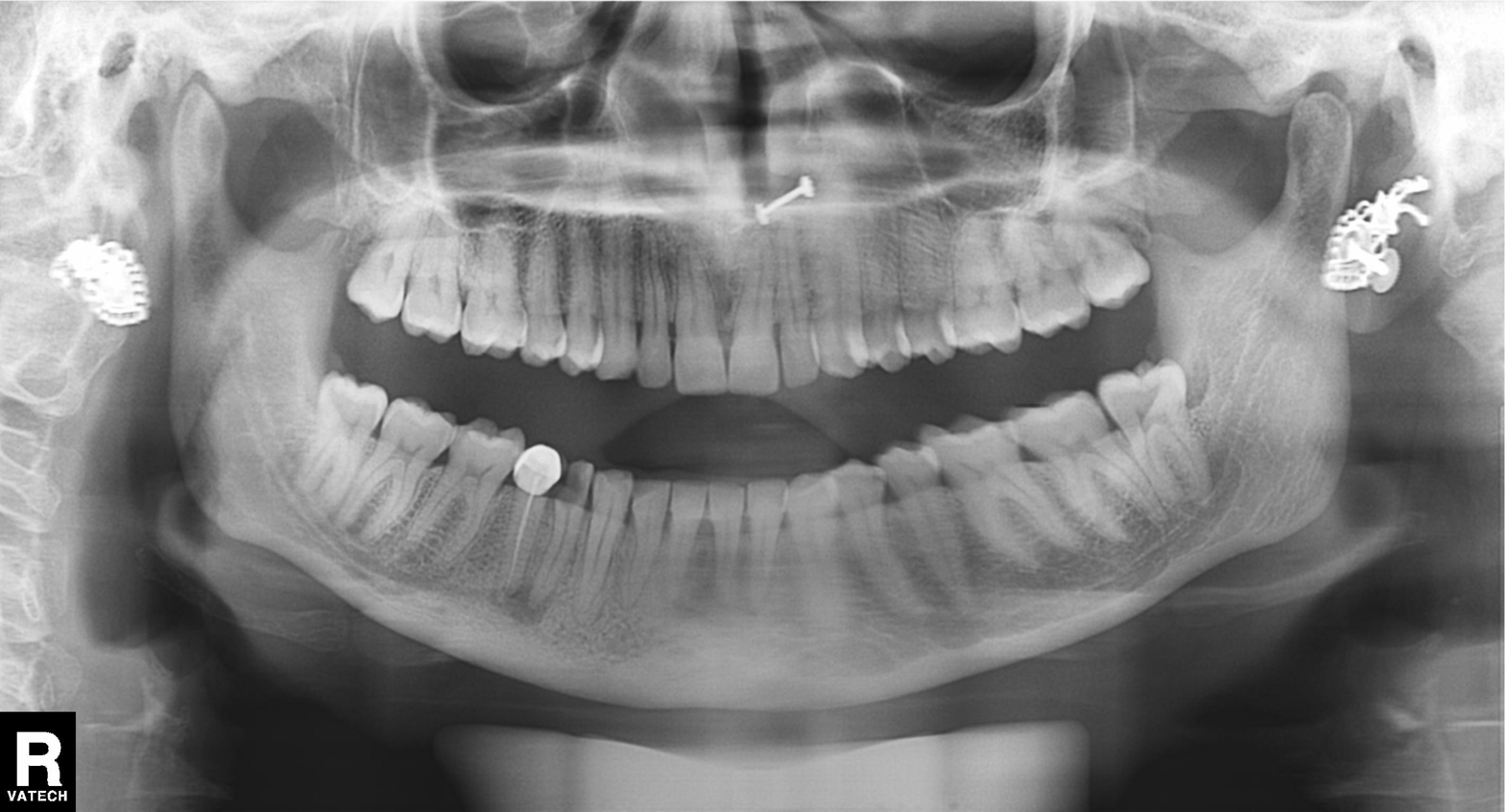
<study>
<modality>panoramic dental radiograph (orthopantomogram)</modality>
<finding>dental caries (cavities)</finding>
</study>